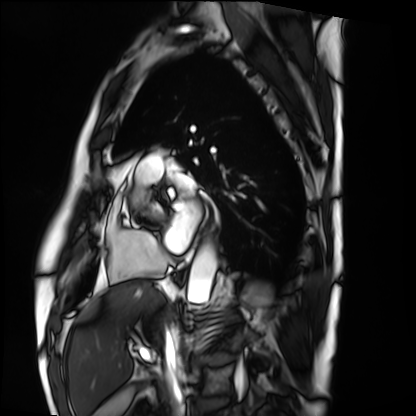
Cardiac MRI.
Subject group: patient.